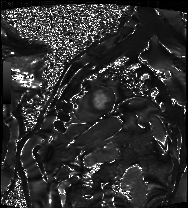
  modality: cardiac MRI
  cohort: patient